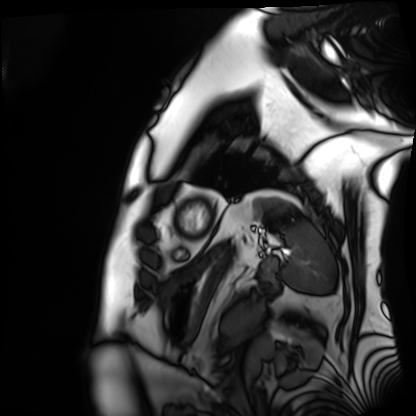
Cardiac MRI. Subject group: patient.